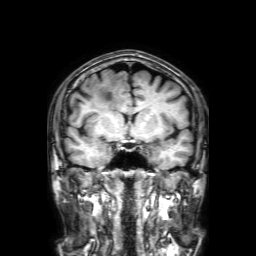
3 Tesla brain MRI. Study: ring-enhancing brain masses.